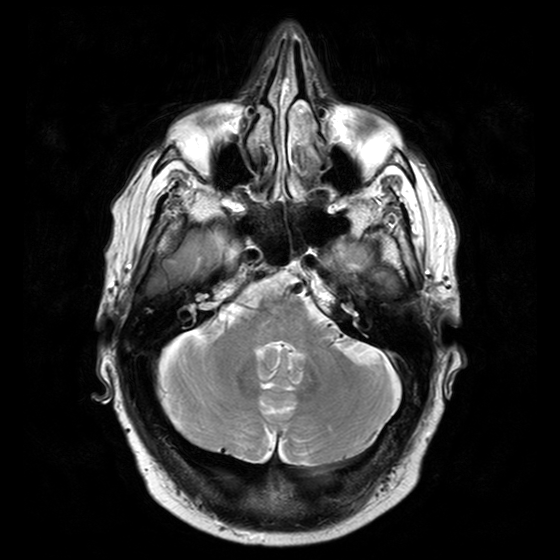
3 Tesla brain MRI. Series: T2-weighted turbo spin echo with CLEAR. Study: ring-enhancing brain masses.